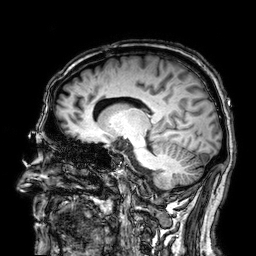
3 Tesla brain MRI.
Study: ring-enhancing brain masses.